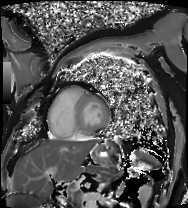
Cardiac MRI. Subject group: patient.